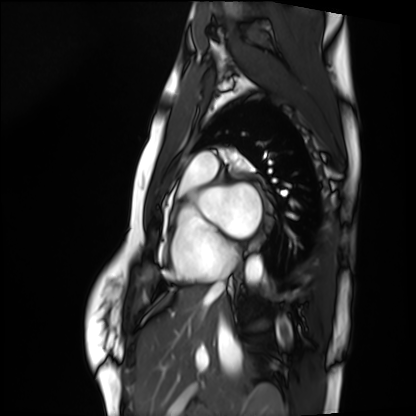
Cardiac MRI. Subject group: healthy volunteer.